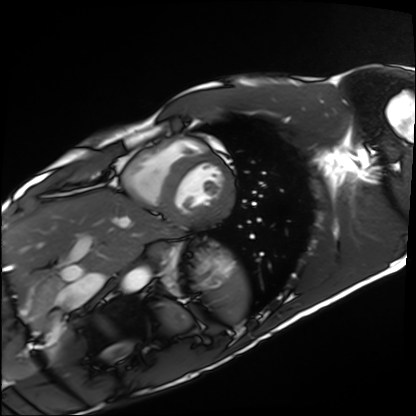
modality: cardiac MRI, subject group: healthy volunteer.